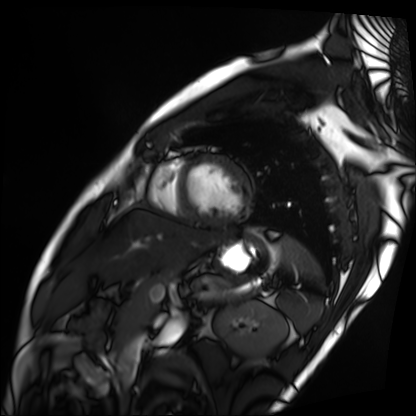
Cardiac MRI. Subject group: patient.